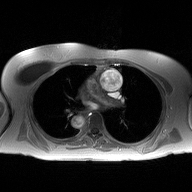
2D phase-contrast cine MRI of the ascending aorta, high-resolution GRAPPA acquisition.